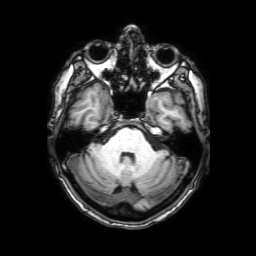
3 Tesla brain MRI. Series: 3D T1-weighted with SENSE. Study: ring-enhancing brain masses.